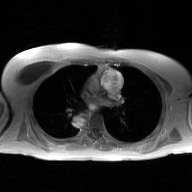
2D phase-contrast cine MRI of the ascending aorta, GAN super-resolution reconstruction.